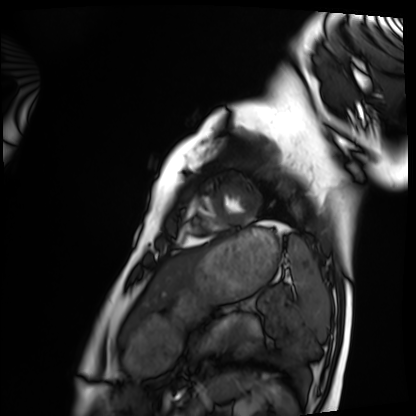
Summary: Cardiac MRI. Subject group: healthy volunteer.